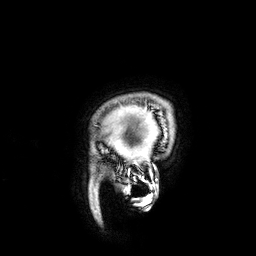
<study>
  <modality>
    <type>brain MRI</type>
    <field_strength>3T</field_strength>
  </modality>
  <series>3D T1-weighted</series>
  <study_topic>ring-enhancing brain masses</study_topic>
</study>